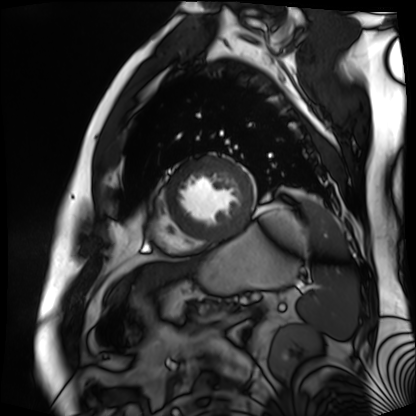
Case:
- modality · cardiac MR image of the myocardium
- subject cohort · cardiac patient